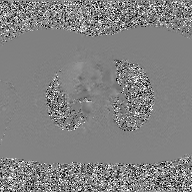
Summary: 2D phase-contrast cine MRI of the ascending aorta, GAN super-resolution reconstruction.